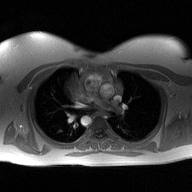
2D phase-contrast cine MRI of the ascending aorta, high-resolution GRAPPA acquisition.